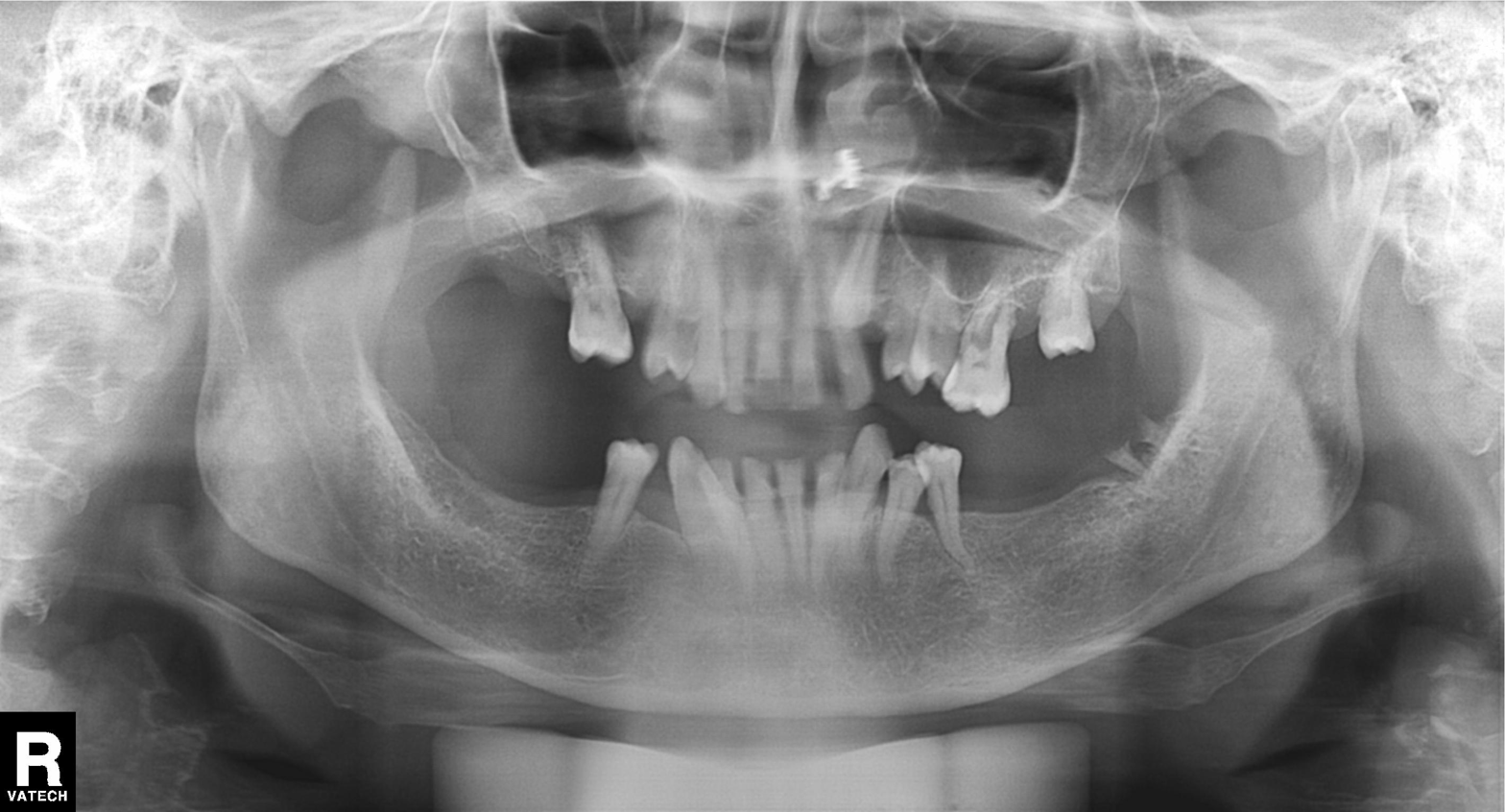
Summary:
Panoramic dental radiograph (orthopantomogram).
Conclusion:
Tooth impaction.